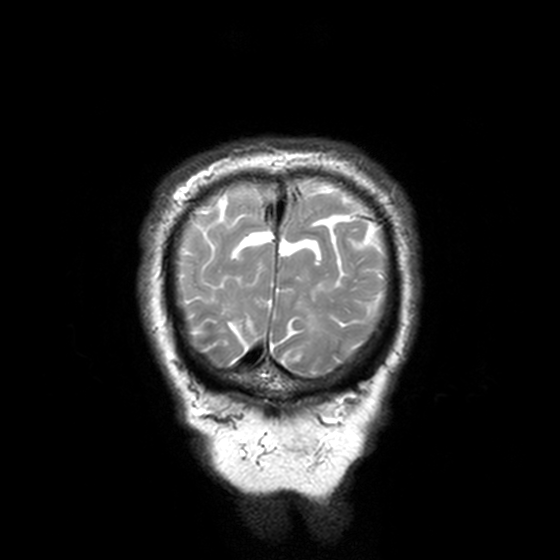
Summary: 3 Tesla brain MRI. Series: T2-weighted turbo spin echo, 3 mm. Study: ring-enhancing brain masses.